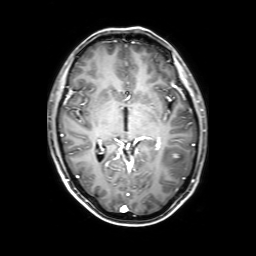
3 Tesla brain MRI. Series: 3D T1-weighted with SENSE. Study: ring-enhancing brain masses.